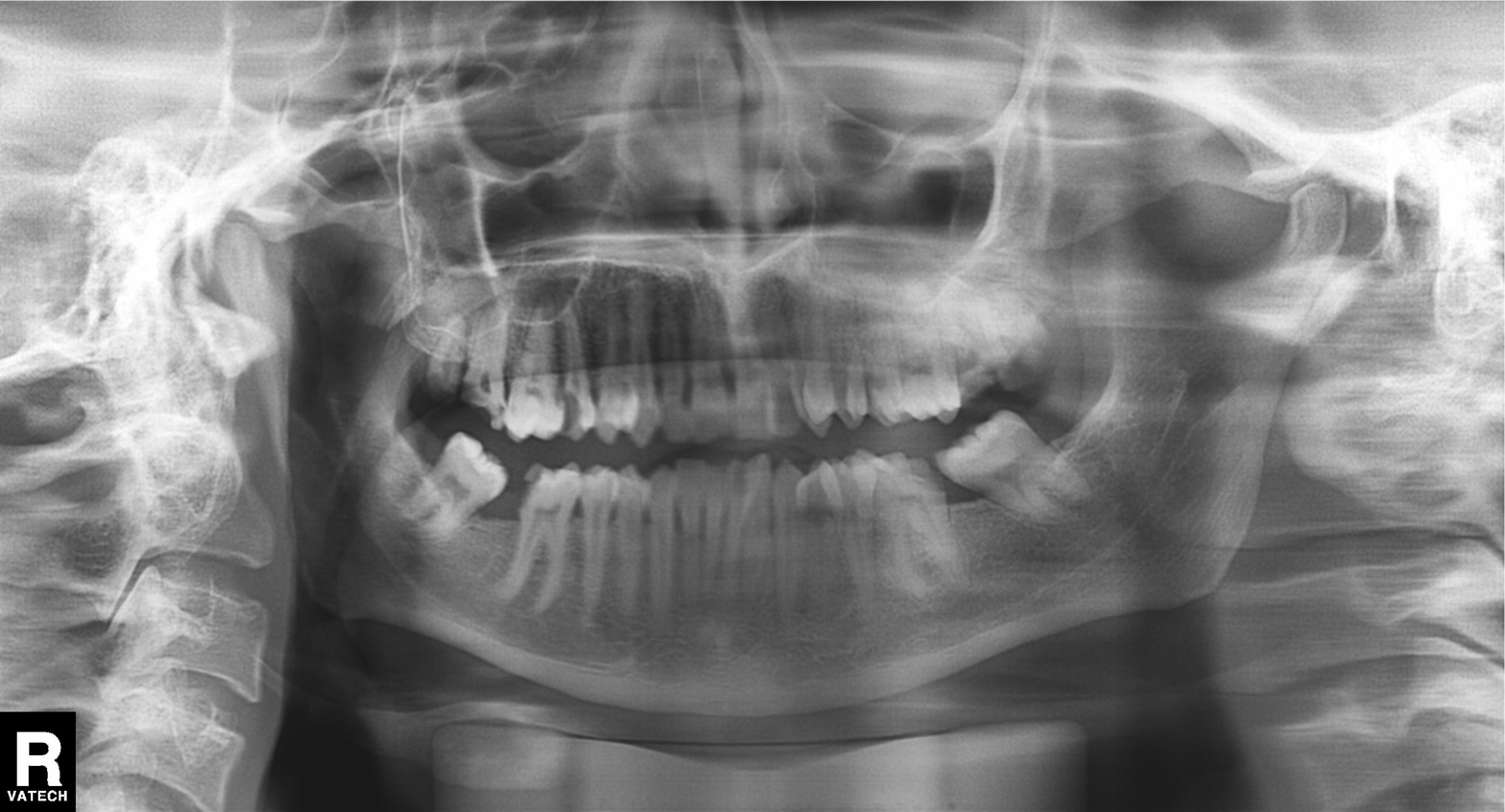
Panoramic dental radiograph (orthopantomogram). Finding: tooth impaction.